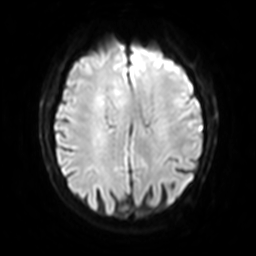
Q: What kind of scan is this?
A: 3 Tesla brain MRI.
Q: Series?
A: Diffusion-weighted imaging with SENSE (WIP).
Study: ring-enhancing brain masses.